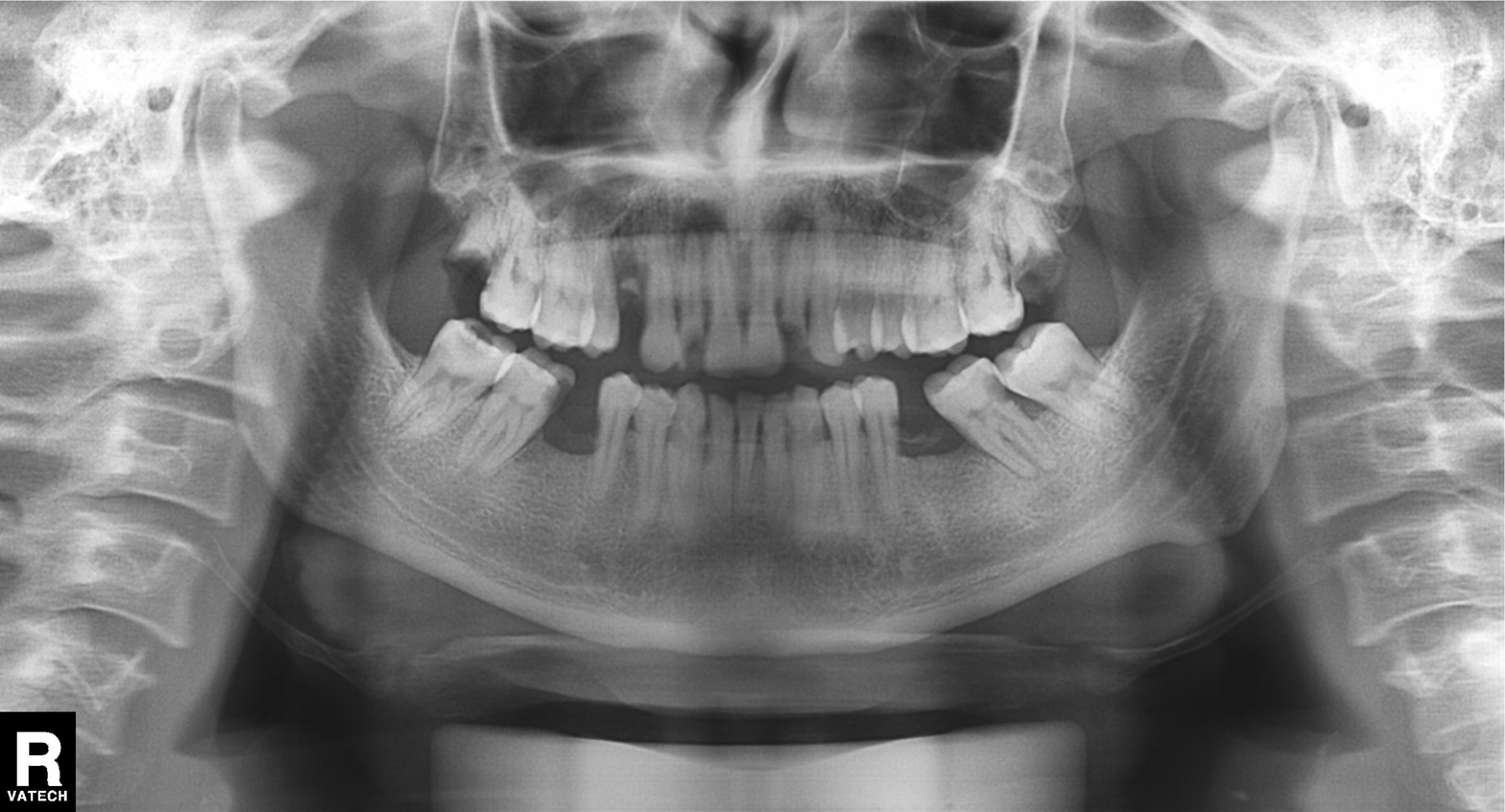
modality = panoramic dental radiograph (orthopantomogram)
finding = tooth impaction